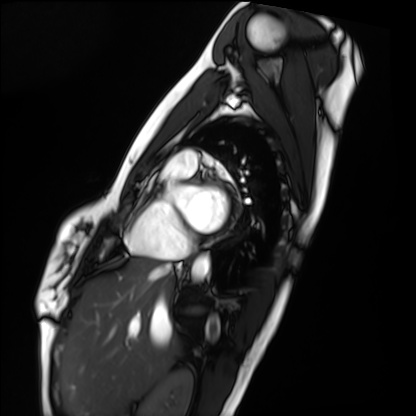
Q: What kind of scan is this?
A: Cardiac MRI.
Subject group: healthy volunteer.